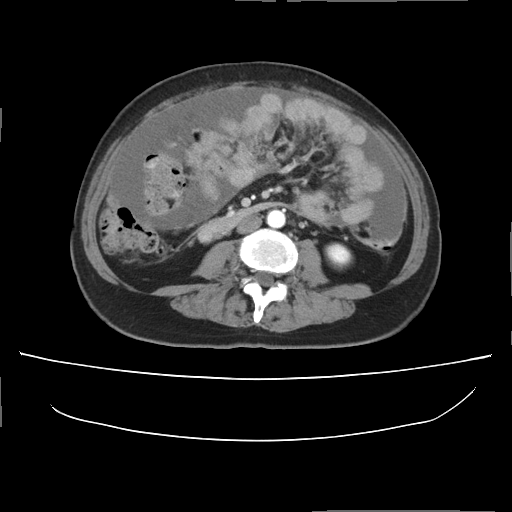
Multiphase abdominal CT, liver, arterial phase.
Patient: female, age 57.
History: prior chemotherapy.